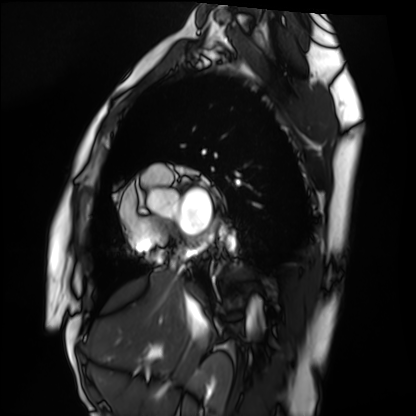
Clinical context: Cardiac MRI. Subject group: healthy volunteer.